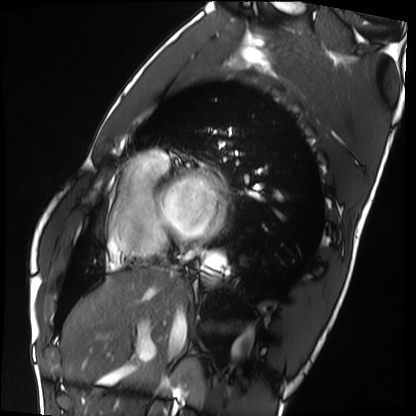
modality = cardiac MRI
subject group = healthy volunteer